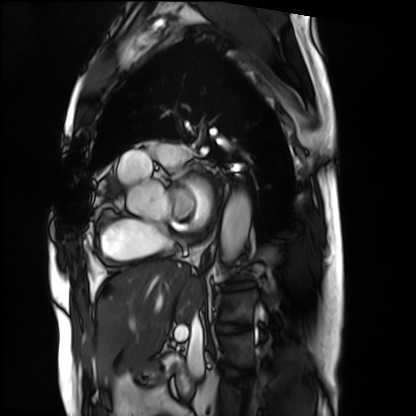
Summary:
Cardiac MRI. Subject group: patient.